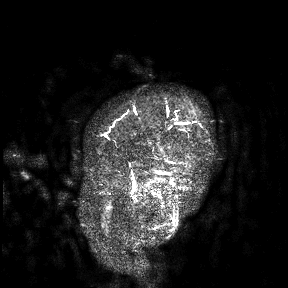
Clinical context: 3 Tesla brain MRI. Study: ring-enhancing brain masses.